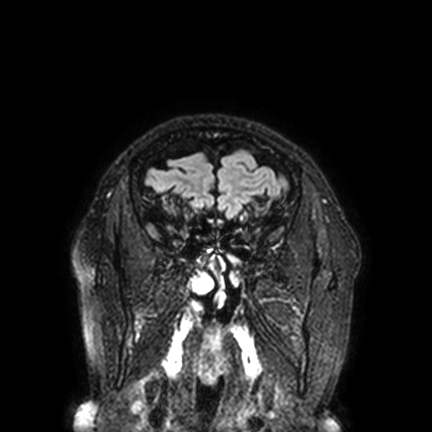
{
  "modality": {
    "type": "brain MRI",
    "field_strength": "3T"
  },
  "series": "FLAIR VISTA with SENSE",
  "study_topic": "ring-enhancing brain masses"
}